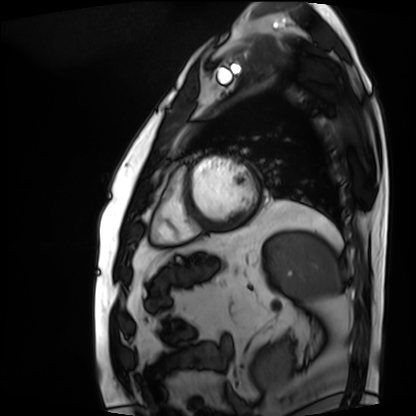
{"modality": "cardiac MRI", "cohort": "patient"}